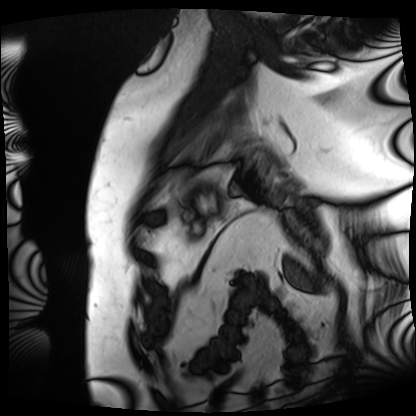
<record>
<modality>cardiac MRI</modality>
<cohort>patient</cohort>
</record>